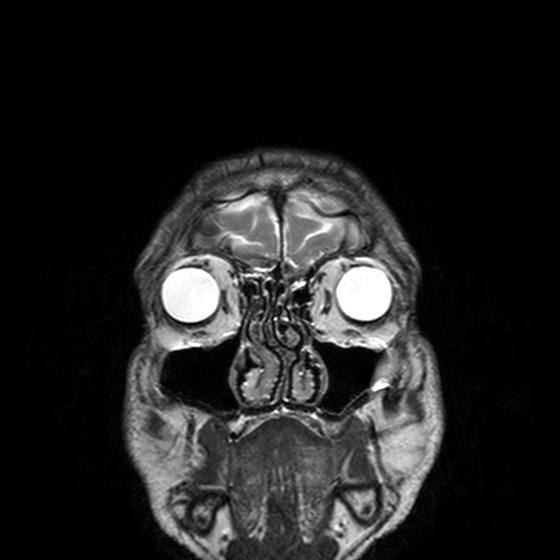
modality: 3 Tesla brain MRI | series: T2-weighted turbo spin echo, 3 mm | study: ring-enhancing brain masses.